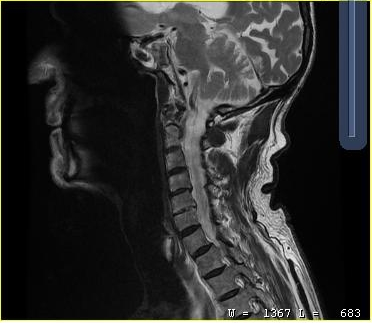
MRI of the cervical spine. Study: cervical spondylosis.